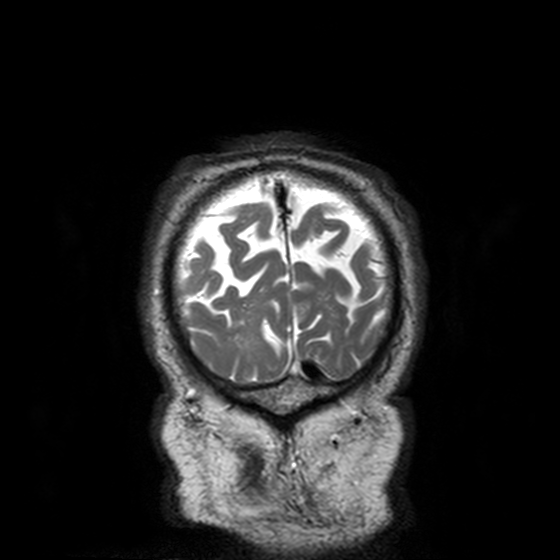
Q: What kind of scan is this?
A: 3 Tesla brain MRI.
Q: Series?
A: T2-weighted turbo spin echo, 3 mm.
Study: ring-enhancing brain masses.